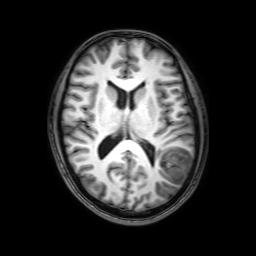
3 Tesla brain MRI. Series: 3D T1-weighted with SENSE. Study: ring-enhancing brain masses.